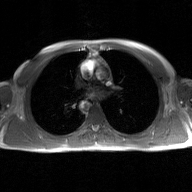
  modality:
    type: 2D phase-contrast cine MRI
    region: ascending aorta
    reconstruction: GAN super-resolution reconstruction